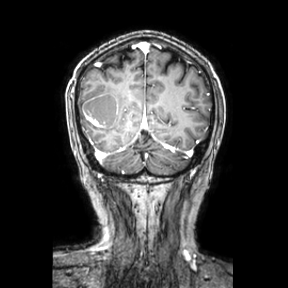
3 Tesla brain MRI. Series: coronal. Study: ring-enhancing brain masses.